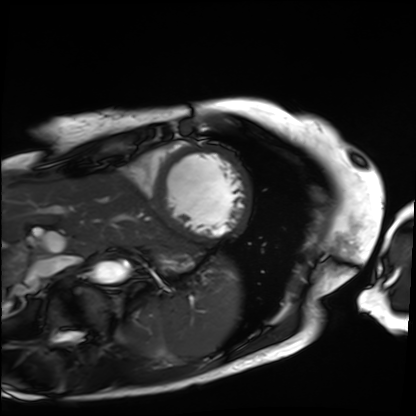
  modality: cardiac MRI
  cohort: patient